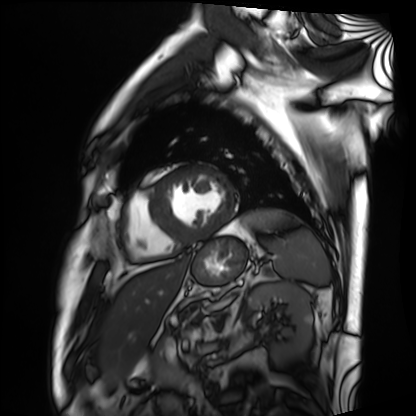
Q: What kind of scan is this?
A: Cardiac MRI.
Subject group: patient.